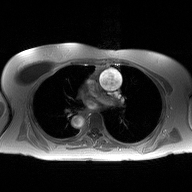
2D phase-contrast cine MRI of the ascending aorta, high-resolution GRAPPA acquisition.